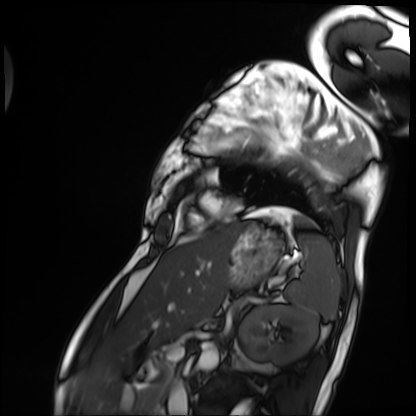
| field | value |
|---|---|
| modality | cardiac MRI |
| subject group | patient |